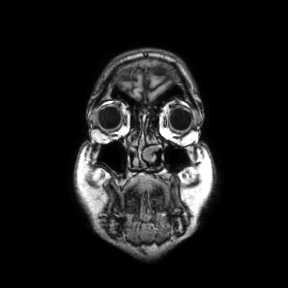
3 Tesla brain MRI. Series: coronal. Study: ring-enhancing brain masses.